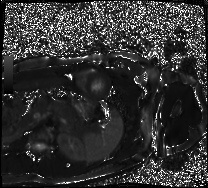
modality: cardiac MRI
cohort: healthy volunteer